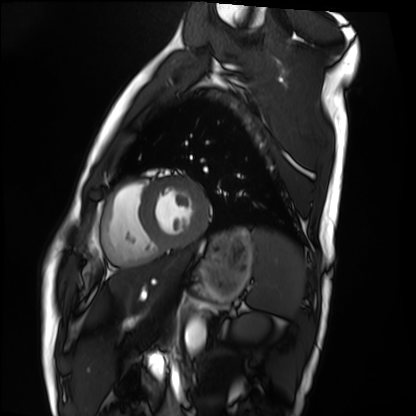
modality: cardiac MRI
subject group: healthy volunteer